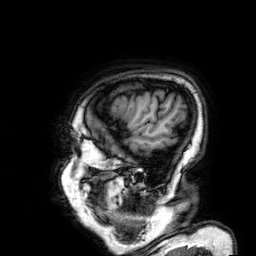
Case summary:
3 Tesla brain MRI. Series: 3D T1-weighted. Study: ring-enhancing brain masses.